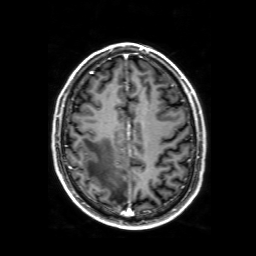
Case summary:
3 Tesla brain MRI. Series: 3D T1-weighted with SENSE. Study: ring-enhancing brain masses.